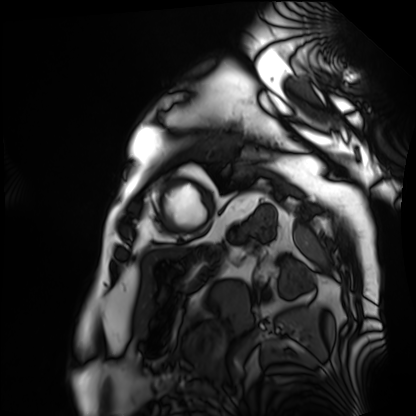
Cardiac MRI. Subject group: patient.